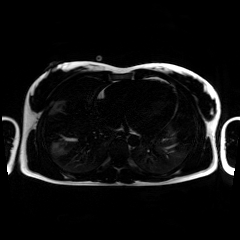
* modality — chemical-shift-encoded cardiac MRI